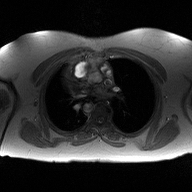
2D phase-contrast cine MRI of the ascending aorta, high-resolution GRAPPA acquisition.